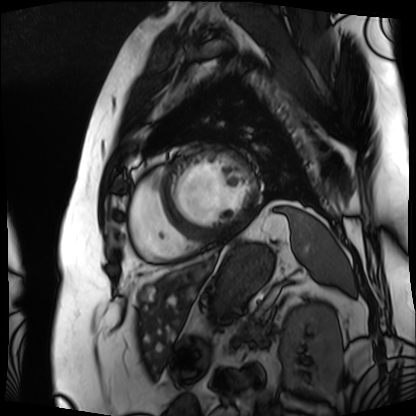
Summary:
Cardiac MRI. Subject group: patient.